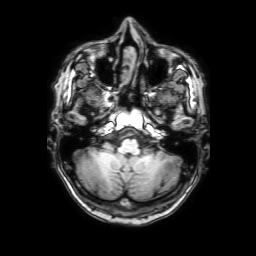
Q: What kind of scan is this?
A: 3 Tesla brain MRI.
Q: Series?
A: 3D T1-weighted with SENSE.
Study: ring-enhancing brain masses.